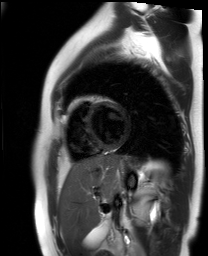
Summary: Cardiac MR image of the myocardium. Subject cohort: healthy volunteer.